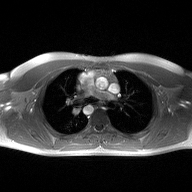
<scan>
  <modality>
    <type>2D phase-contrast cine MRI</type>
    <region>ascending aorta</region>
    <reconstruction>high-resolution GRAPPA acquisition</reconstruction>
  </modality>
</scan>